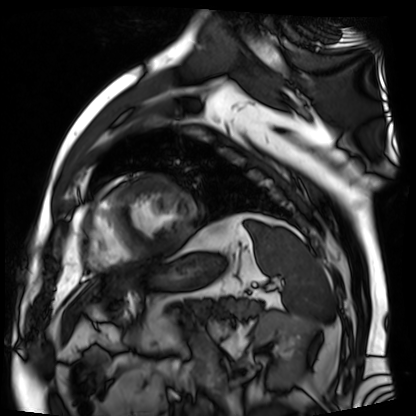
Case:
• modality — cardiac MR image of the myocardium
• subject cohort — cardiac patient